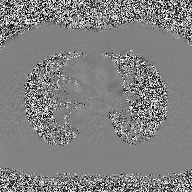
Q: What kind of scan is this?
A: 2D phase-contrast cine MRI of the ascending aorta.